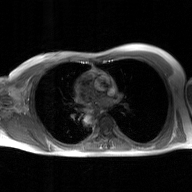
2D phase-contrast cine MRI of the ascending aorta, GAN super-resolution reconstruction.